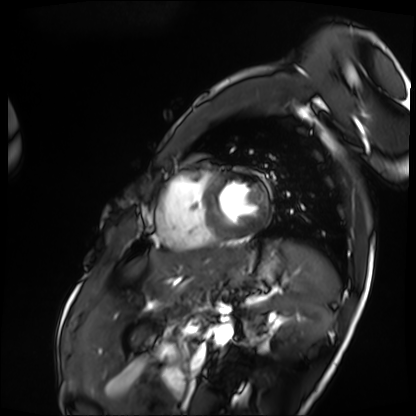
modality: cardiac MRI
subject group: patient